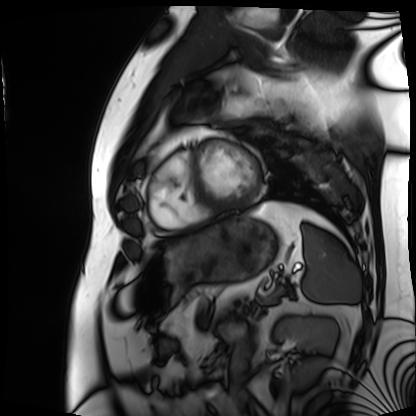
Cardiac MRI.
Subject group: patient.